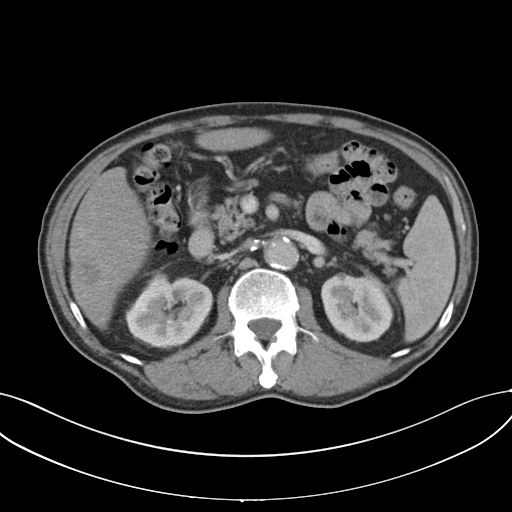
{
  "modality": {
    "type": "multiphase abdominal CT",
    "region": "liver",
    "phase": "portal venous"
  },
  "patient": {
    "sex": "male",
    "age": 69
  }
}